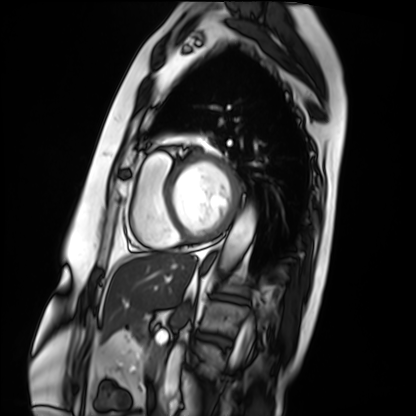
{
  "modality": "cardiac MRI",
  "cohort": "patient"
}